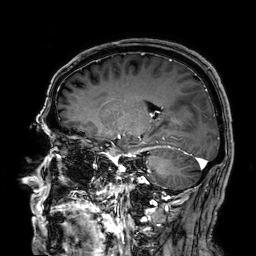
3 Tesla brain MRI.
Series: 3D T1-weighted.
Study: ring-enhancing brain masses.